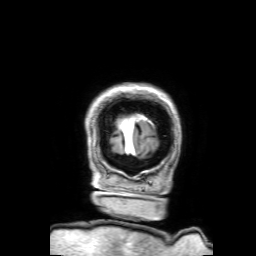
| field | value |
|---|---|
| modality | 3 Tesla brain MRI |
| study | ring-enhancing brain masses |